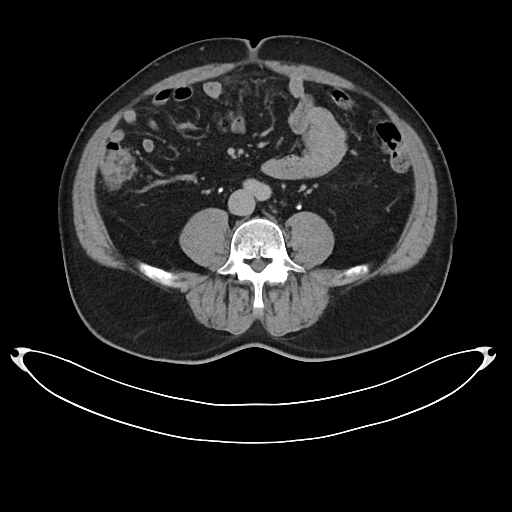
modality — multiphase abdominal CT, liver, delayed phase | patient — male, age 53 | history — cirrhosis, viral hepatitis.